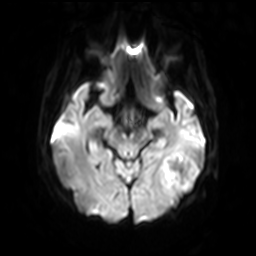
3 Tesla brain MRI.
Series: diffusion-weighted imaging with SENSE (WIP).
Study: ring-enhancing brain masses.